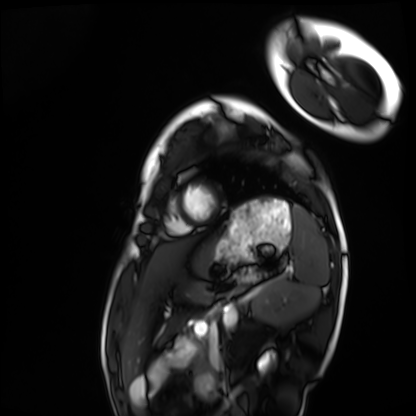
{
  "modality": "cardiac MRI",
  "cohort": "healthy volunteer"
}